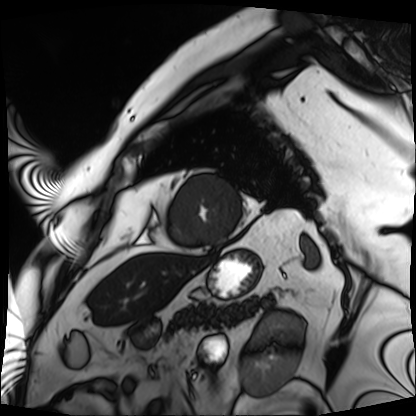
- modality · cardiac MRI
- subject group · patient